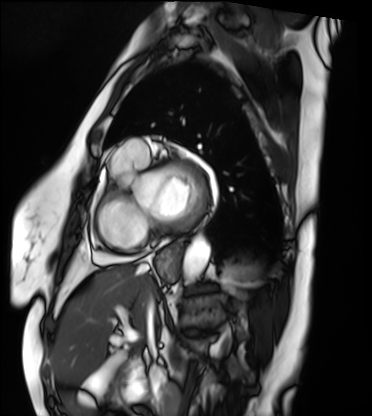
Cardiac MRI.
Subject group: patient.